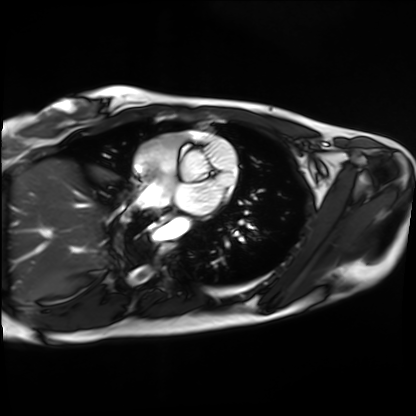
modality: cardiac MRI
cohort: healthy volunteer